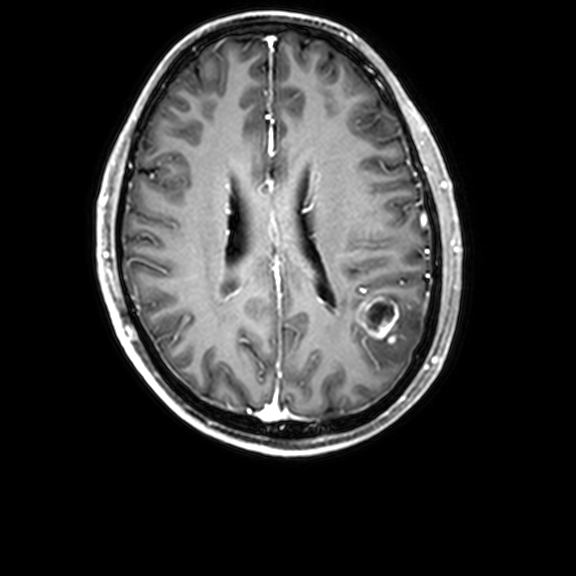
modality = 3 Tesla brain MRI; series = 3D T1-weighted with CLEAR; study = ring-enhancing brain masses.